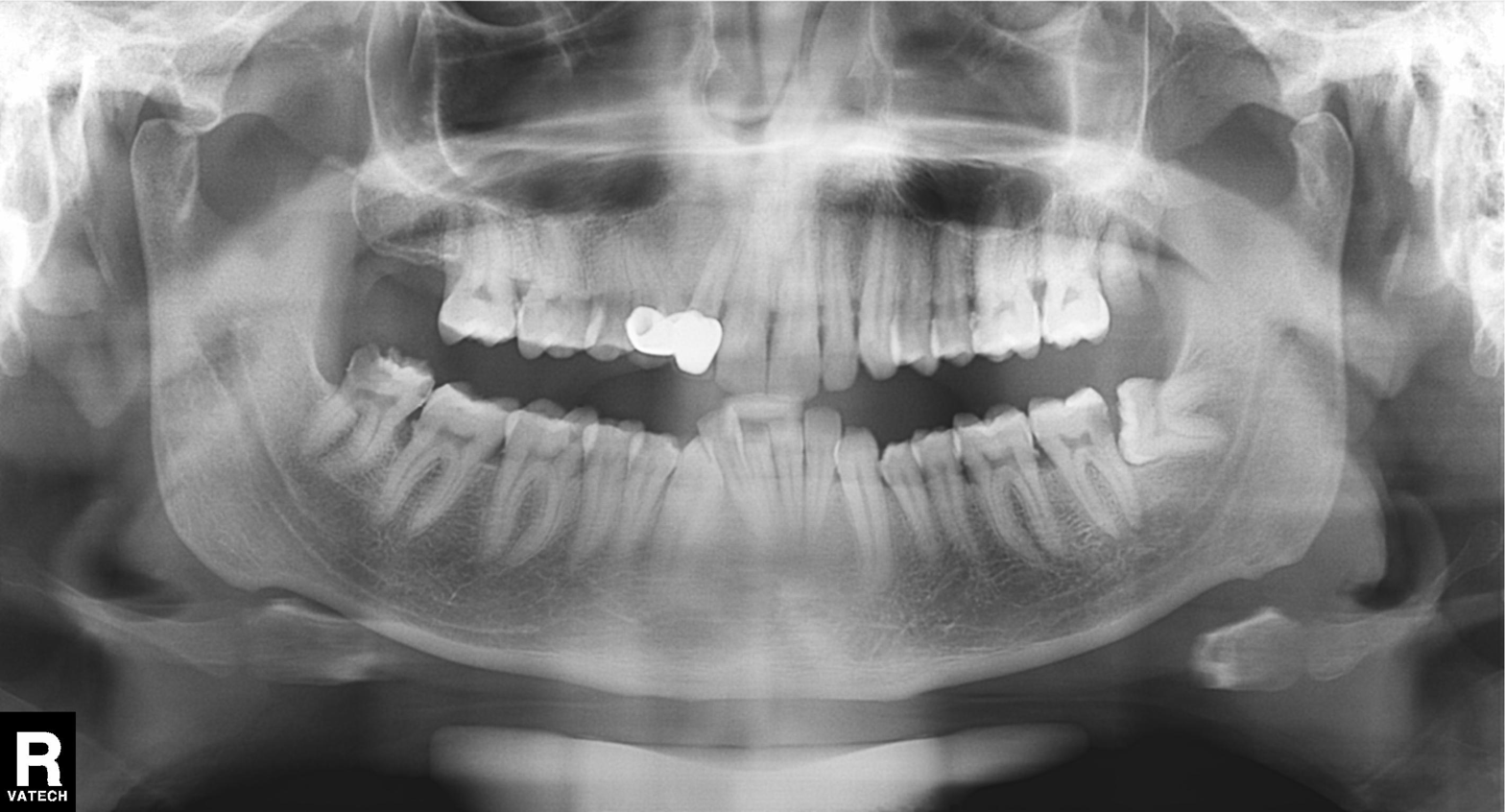
Findings:
- modality: panoramic dental radiograph (orthopantomogram)
- finding: alveolar bone loss